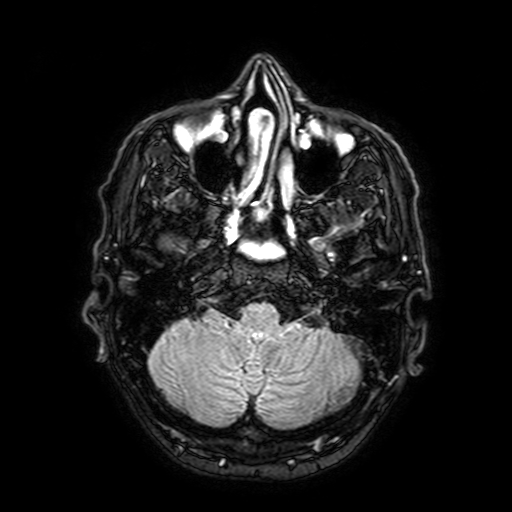
<case>
<modality>
  <type>brain MRI</type>
  <field_strength>3T</field_strength>
</modality>
<series>FLAIR with SPAIR, 3 mm</series>
<study_topic>ring-enhancing brain masses</study_topic>
</case>